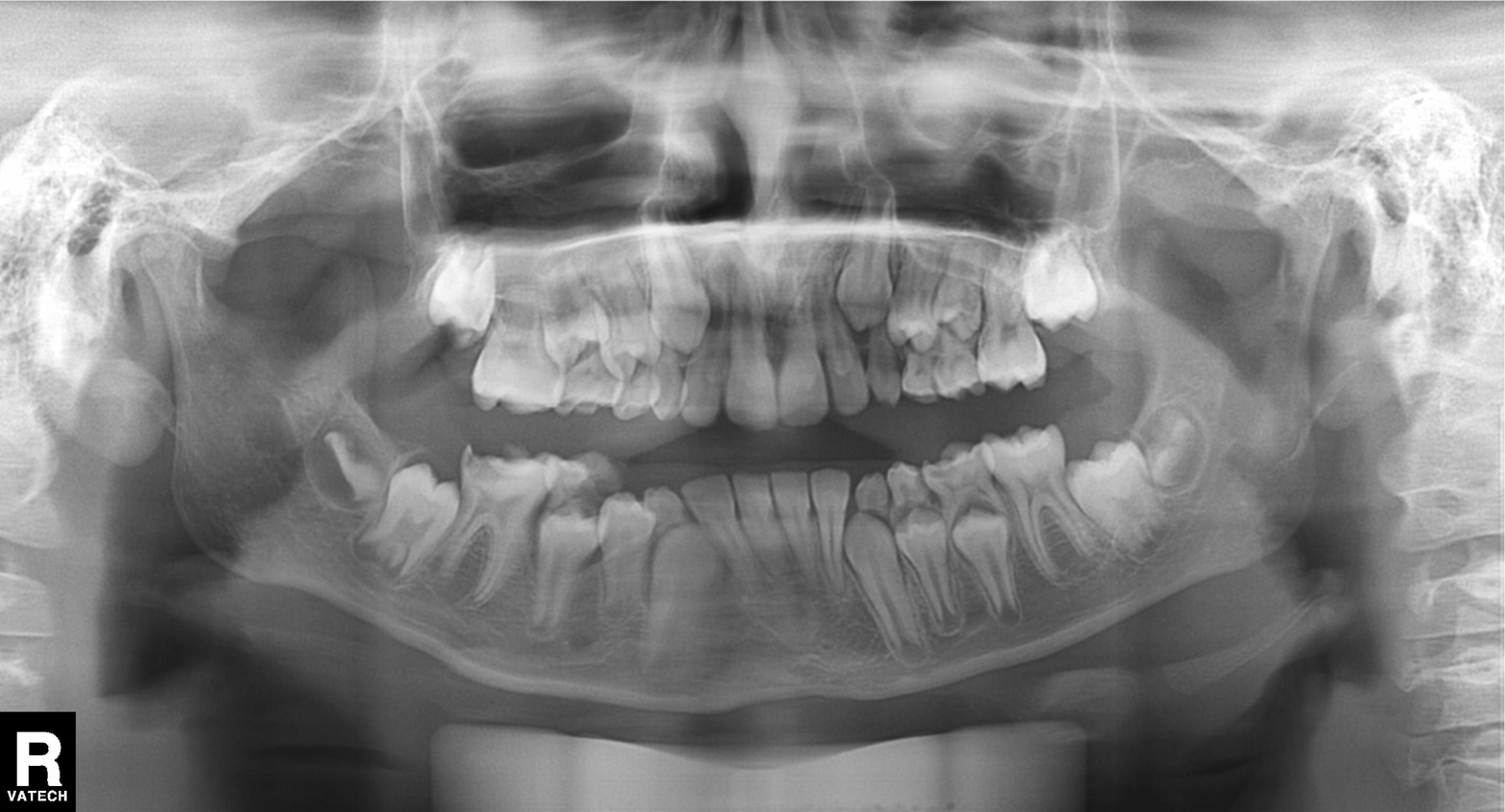
{
  "modality": "panoramic dental radiograph (orthopantomogram)",
  "finding": "alveolar bone loss"
}